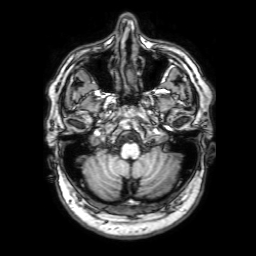
Case:
• modality: 3 Tesla brain MRI
• series: 3D T1-weighted with SENSE
• study: ring-enhancing brain masses